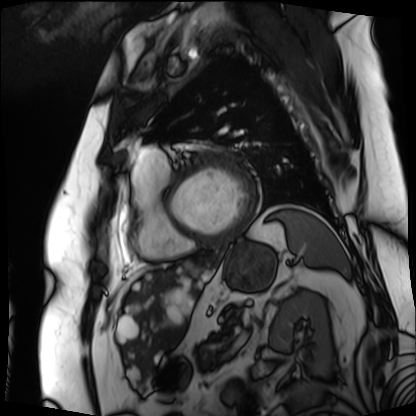
Case summary: Cardiac MRI. Subject group: patient.